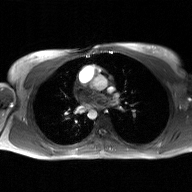
modality = 2D phase-contrast cine MRI of the ascending aorta, GAN super-resolution reconstruction.